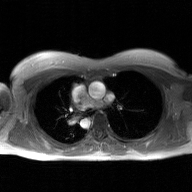
modality: 2D phase-contrast cine MRI of the ascending aorta, GAN super-resolution reconstruction.